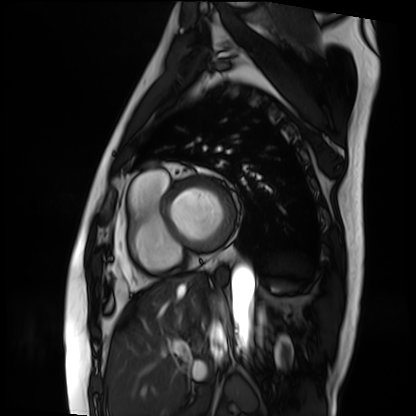
  modality: cardiac MRI
  cohort: patient